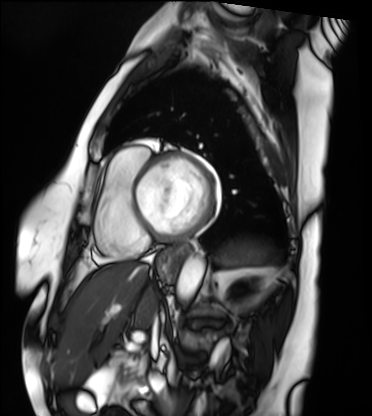
– modality — cardiac MRI
– subject group — patient